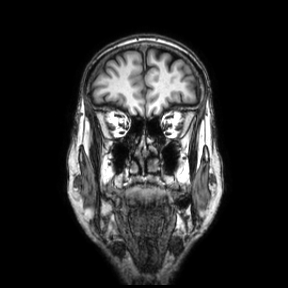
Q: What kind of scan is this?
A: 3 Tesla brain MRI.
Q: Series?
A: Coronal.
Study: ring-enhancing brain masses.